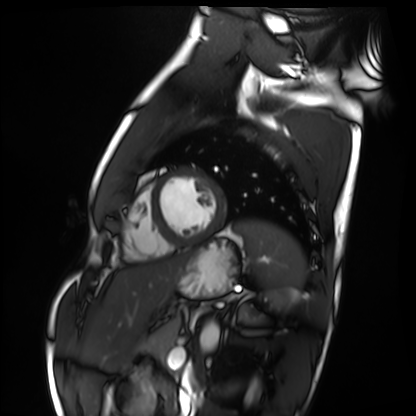
<record>
  <modality>cardiac MRI</modality>
  <cohort>healthy volunteer</cohort>
</record>